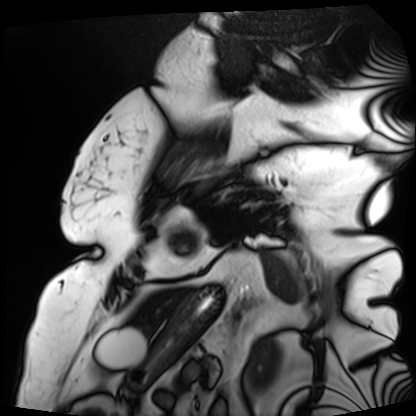
Cardiac MRI.
Subject group: patient.